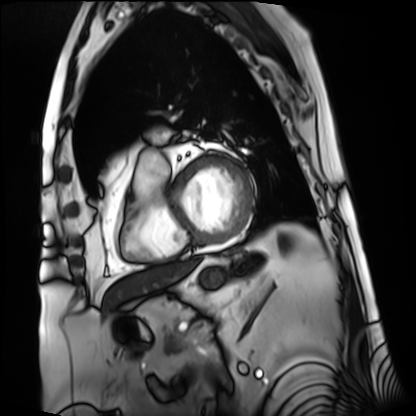
Summary:
Cardiac MRI. Subject group: patient.